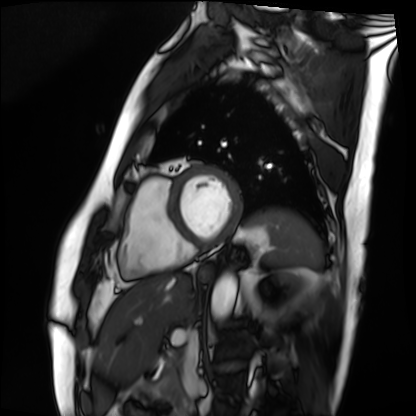
Q: What kind of scan is this?
A: Cardiac MRI.
Subject group: patient.